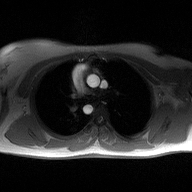
2D phase-contrast cine MRI of the ascending aorta, high-resolution GRAPPA acquisition.